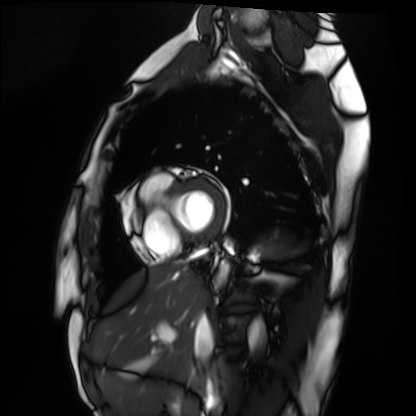
Cardiac MRI. Subject group: healthy volunteer.